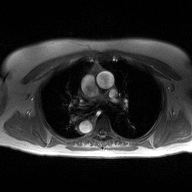
2D phase-contrast cine MRI of the ascending aorta, high-resolution GRAPPA acquisition.